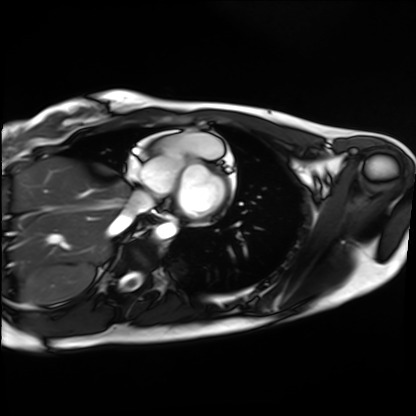
Q: What kind of scan is this?
A: Cardiac MRI.
Subject group: healthy volunteer.